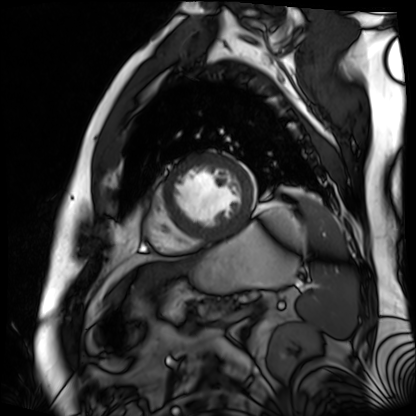
{
  "modality": "cardiac MR image of the myocardium",
  "cohort": "cardiac patient"
}